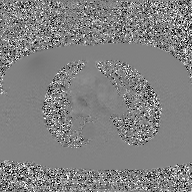
2D phase-contrast cine MRI of the ascending aorta, GAN super-resolution reconstruction.